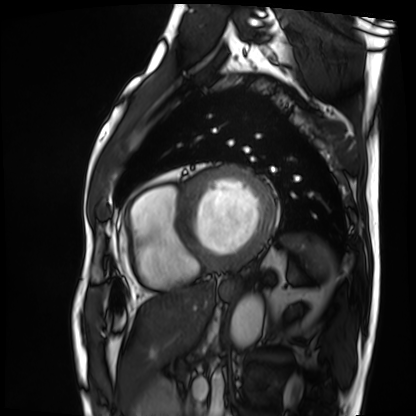
  modality: cardiac MRI
  cohort: patient